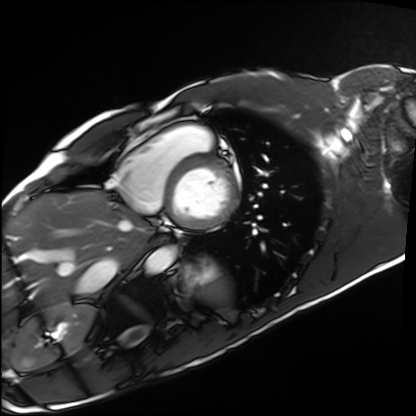
Case:
– modality: cardiac MRI
– subject group: healthy volunteer